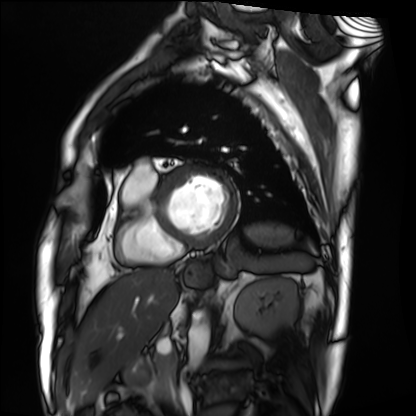
- modality — cardiac MRI
- subject group — patient